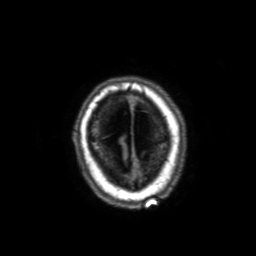
<record>
  <modality>
    <type>brain MRI</type>
    <field_strength>3T</field_strength>
  </modality>
  <series>3D T1-weighted with SENSE</series>
  <study_topic>ring-enhancing brain masses</study_topic>
</record>